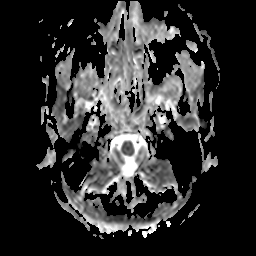
| field | value |
|---|---|
| modality | 3 Tesla brain MRI |
| series | apparent diffusion coefficient (ADC) map |
| study | ring-enhancing brain masses |